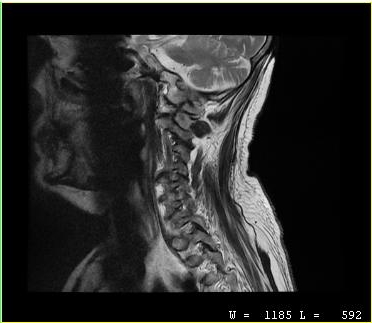
Clinical context:
MRI of the cervical spine. Study: cervical spondylosis.